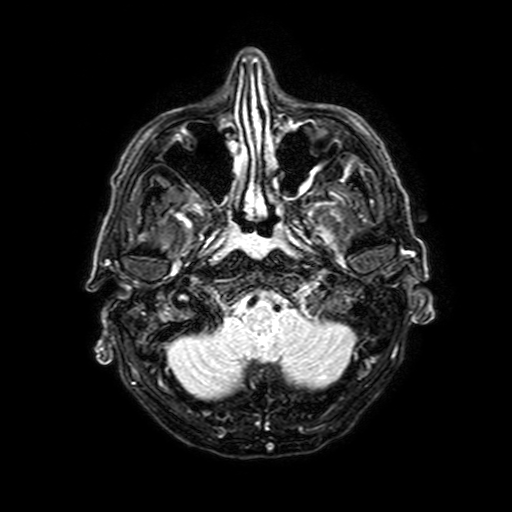
- modality · 3 Tesla brain MRI
- series · FLAIR with SPAIR, 3 mm
- study · ring-enhancing brain masses